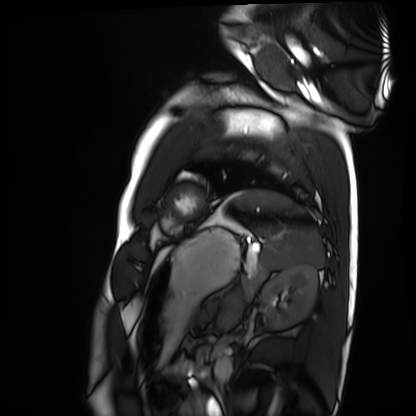
Cardiac MRI.
Subject group: healthy volunteer.